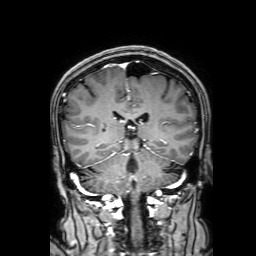
  modality:
    type: brain MRI
    field_strength: 3T
  series: 3D T1-weighted with SENSE
  study_topic: ring-enhancing brain masses